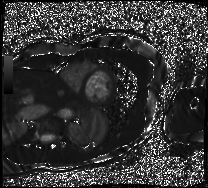
modality=cardiac MRI; subject group=patient.